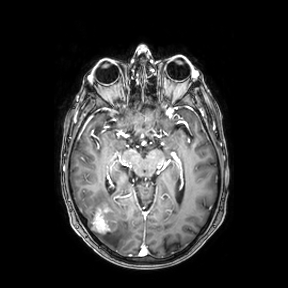
Summary:
3 Tesla brain MRI. Series: axial. Study: ring-enhancing brain masses.